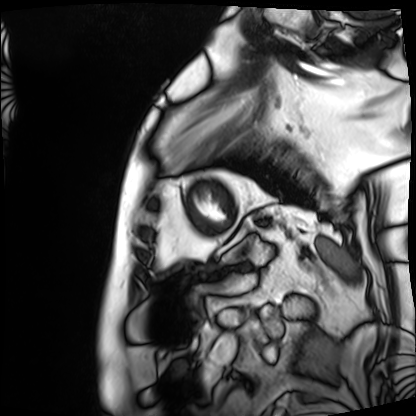
modality: cardiac MRI
subject group: patient